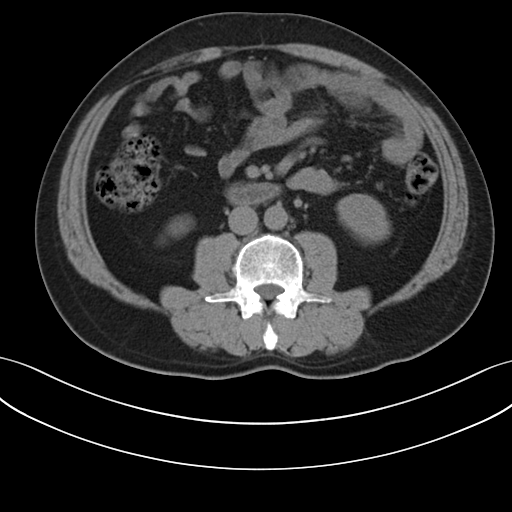
Multiphase abdominal CT, liver, non-contrast phase. Patient: male, age 48.